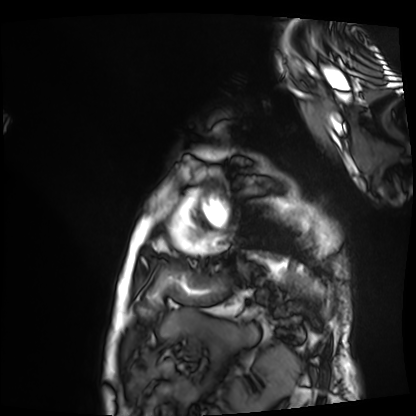
Cardiac MRI. Subject group: patient.